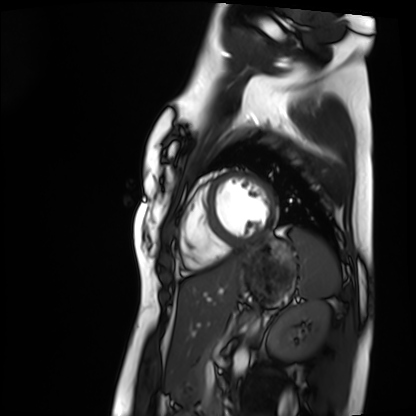
<case>
  <modality>cardiac MRI</modality>
  <cohort>healthy volunteer</cohort>
</case>